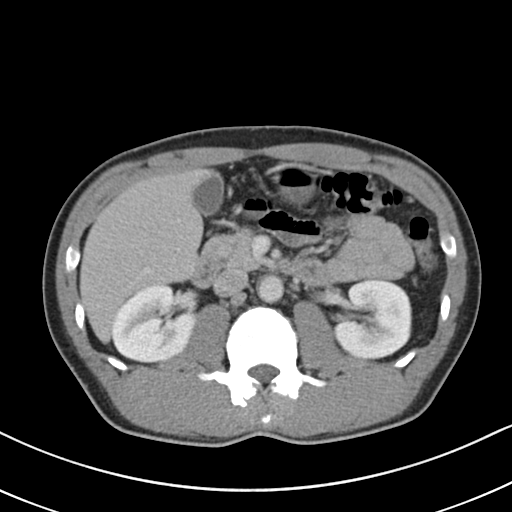
Multiphase abdominal CT, liver, portal venous phase. Patient: male, age 54.